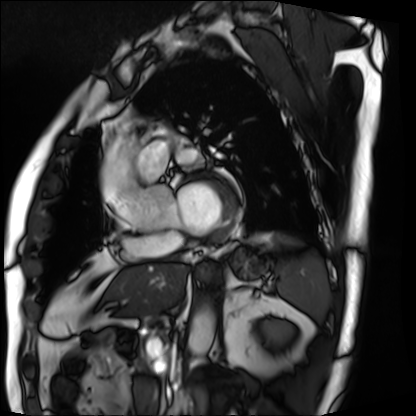
Cardiac MRI. Subject group: patient.